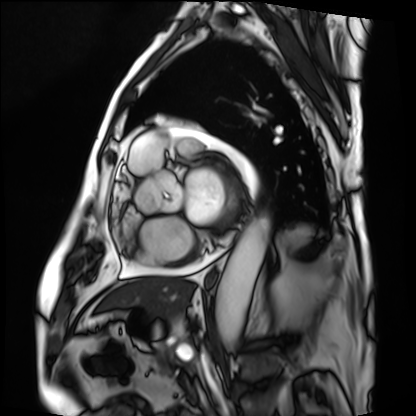
* modality · cardiac MRI
* subject group · patient